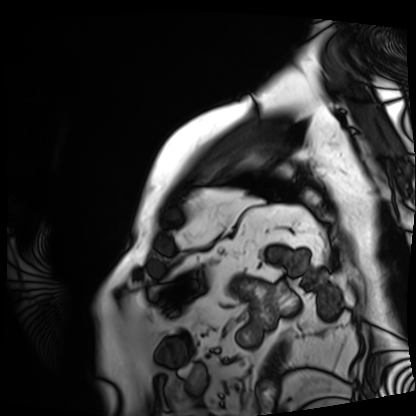
{
  "modality": "cardiac MRI",
  "cohort": "patient"
}